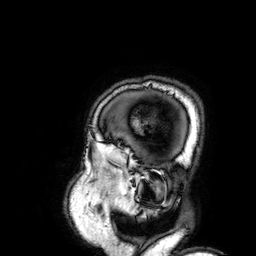
3 Tesla brain MRI. Series: 3D T1-weighted. Study: ring-enhancing brain masses.